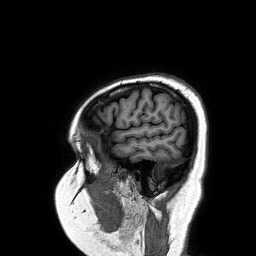
– modality: 3 Tesla brain MRI
– series: 3D T1-weighted turbo field echo
– study: ring-enhancing brain masses